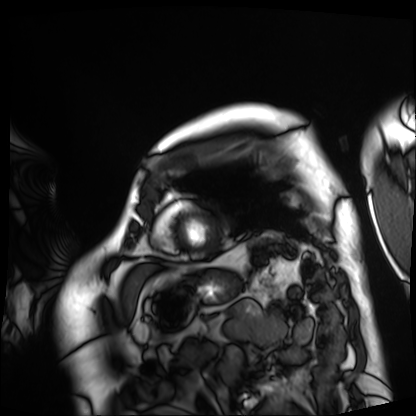
Cardiac MRI. Subject group: patient.